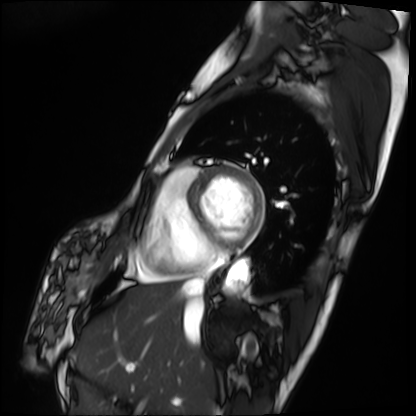
Cardiac MRI. Subject group: patient.